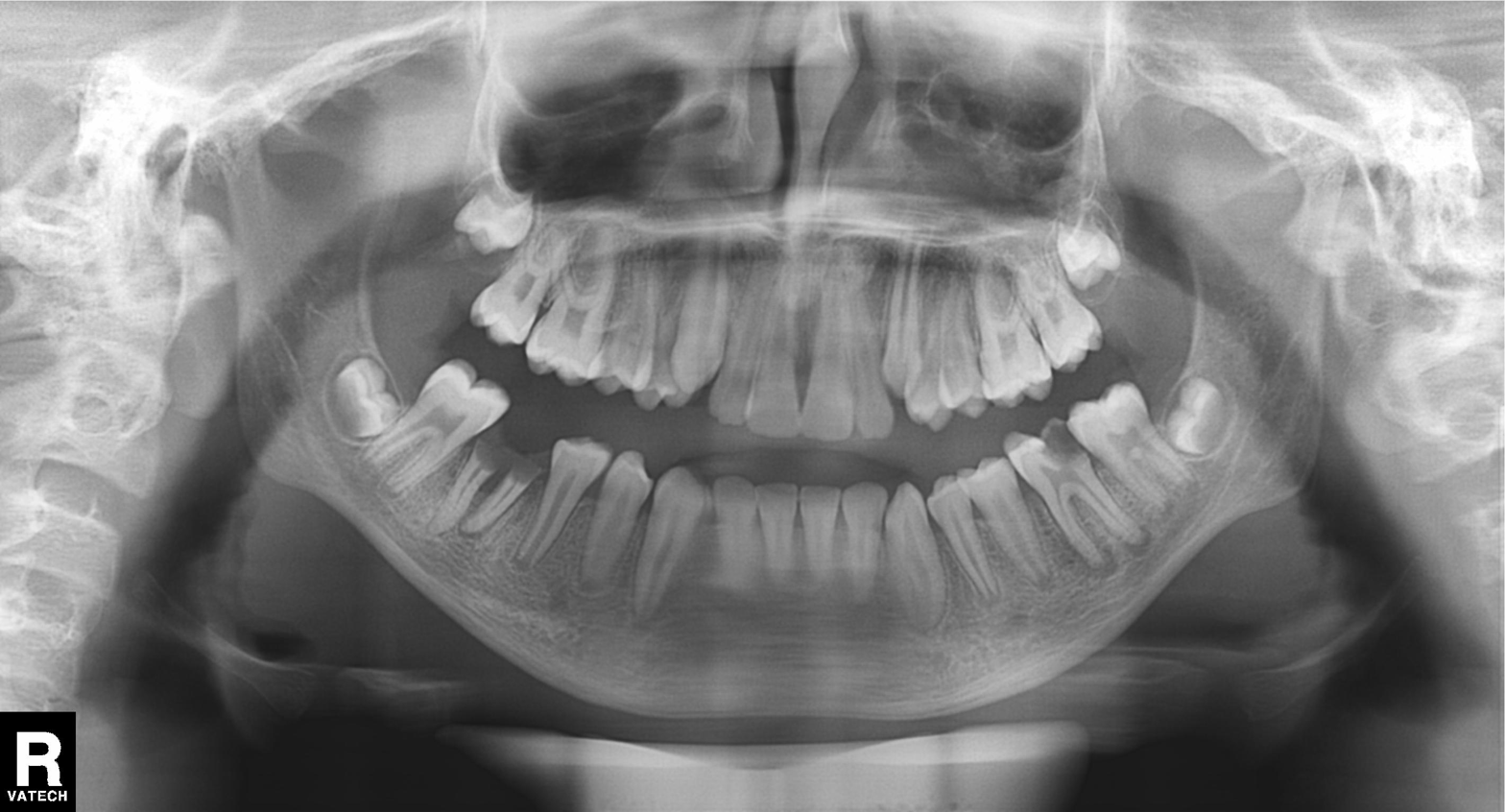
Q: What kind of scan is this?
A: Panoramic dental radiograph (orthopantomogram).
Q: What is the radiographic finding?
A: Alveolar bone loss.